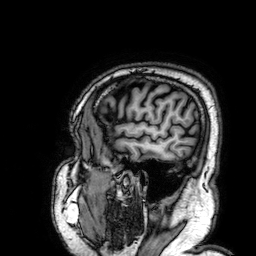
3 Tesla brain MRI. Series: 3D T1-weighted. Study: ring-enhancing brain masses.